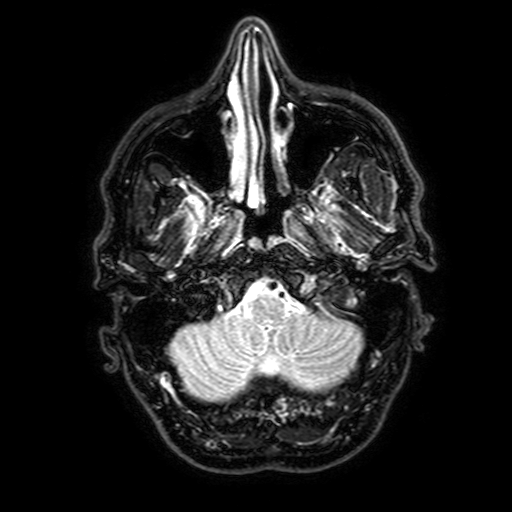
- modality — 3 Tesla brain MRI
- series — FLAIR with SPAIR, 3 mm
- study — ring-enhancing brain masses